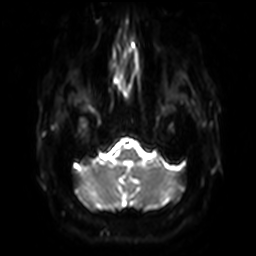
Summary: 3 Tesla brain MRI. Series: diffusion-weighted imaging with SENSE (WIP). Study: ring-enhancing brain masses.